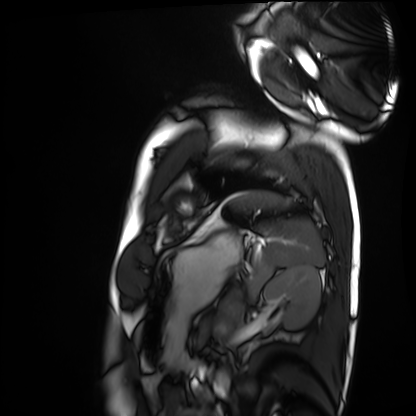
Case:
* modality · cardiac MRI
* subject group · healthy volunteer